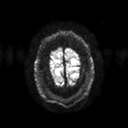
Summary:
3 Tesla brain MRI. Series: diffusion tensor imaging (medium iso). Study: ring-enhancing brain masses.